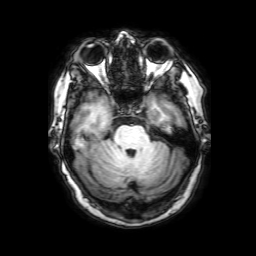
modality: 3 Tesla brain MRI
series: 3D T1-weighted with SENSE
study: ring-enhancing brain masses